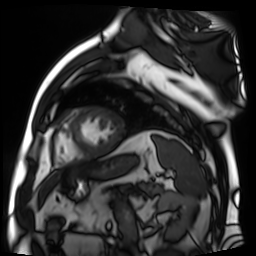
Cardiac MR image of the myocardium. Subject cohort: cardiac patient.